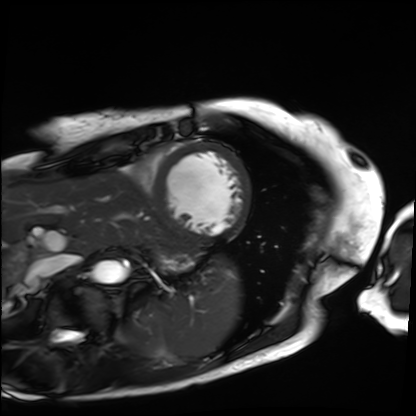
Cardiac MRI.
Subject group: patient.